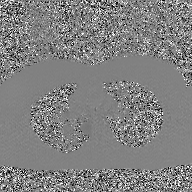
modality: 2D phase-contrast cine MRI of the ascending aorta, GAN super-resolution reconstruction